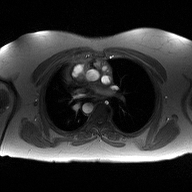
{
  "modality": {
    "type": "2D phase-contrast cine MRI",
    "region": "ascending aorta",
    "reconstruction": "high-resolution GRAPPA acquisition"
  }
}